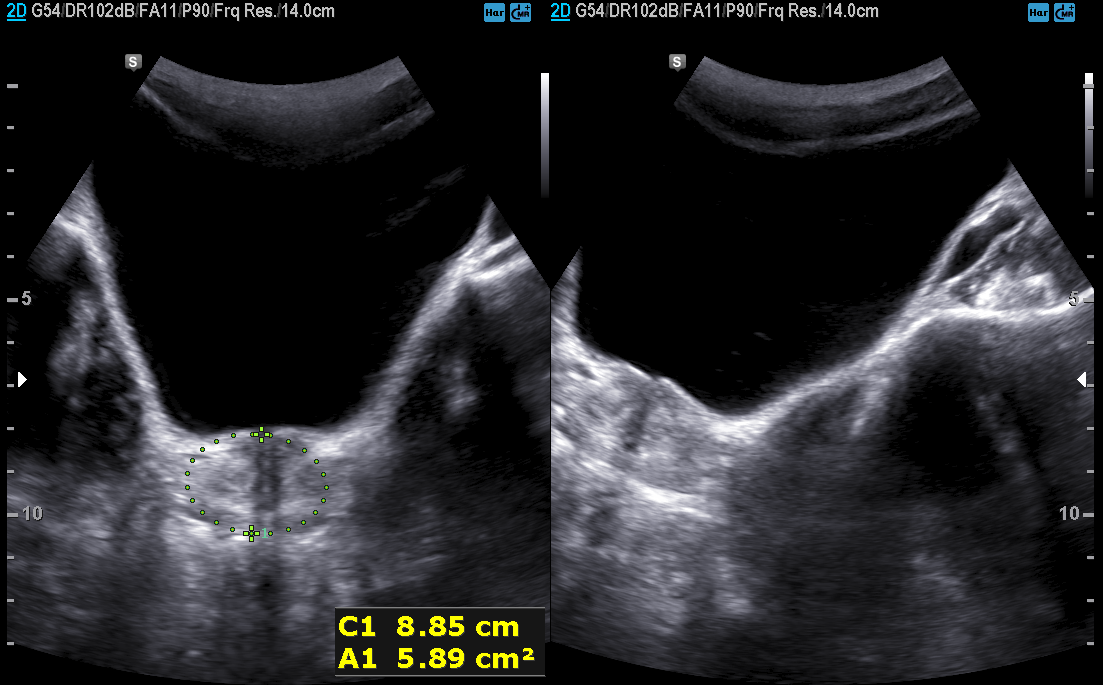
Case summary:
Genitourinary ultrasound.